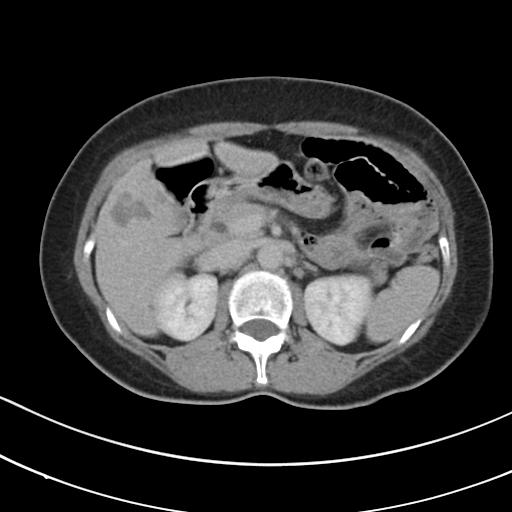
Multiphase abdominal CT, liver, delayed phase.
Patient: female, age 53.
History: prior chemotherapy.